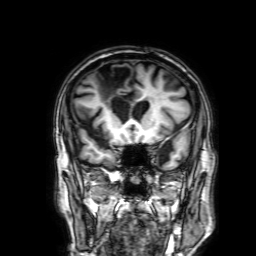
modality:
  type: brain MRI
  field_strength: 3T
series: 3D T1-weighted with SENSE
study_topic: ring-enhancing brain masses